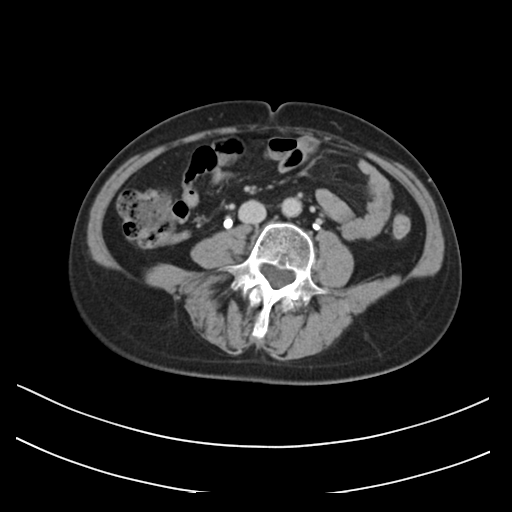
Multiphase abdominal CT, liver, delayed phase.
Patient: female, age 61.
History: prior chemotherapy.